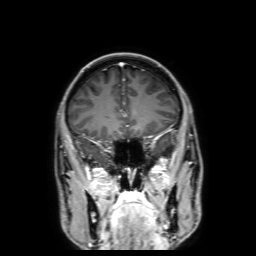
3 Tesla brain MRI. Series: 3D T1-weighted with SENSE. Study: ring-enhancing brain masses.